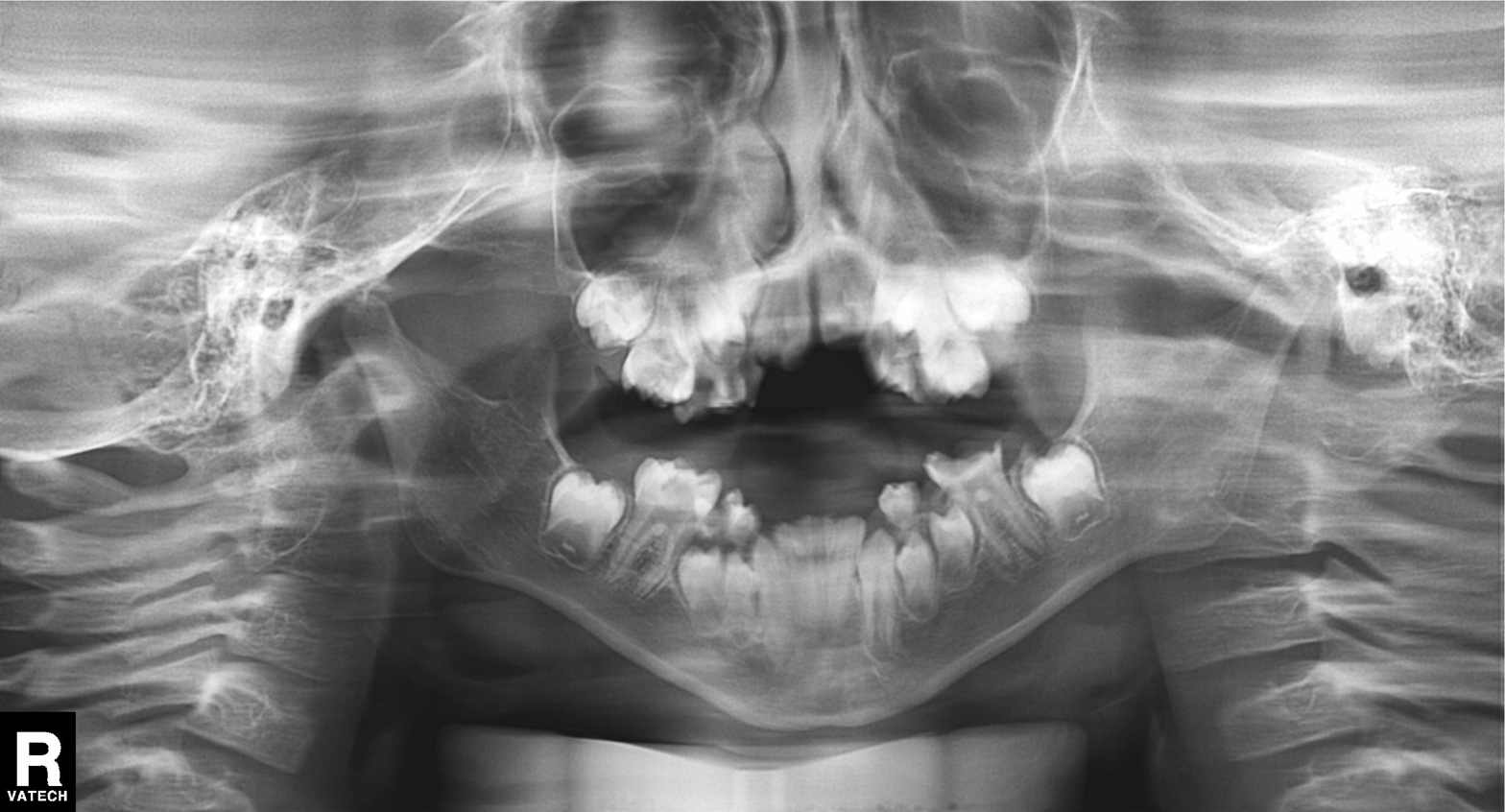
Panoramic dental radiograph (orthopantomogram). Finding: tooth impaction.